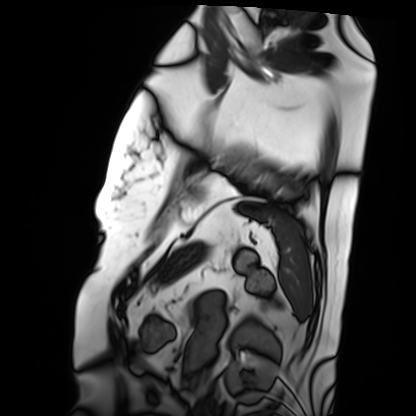
* modality — cardiac MRI
* subject group — patient